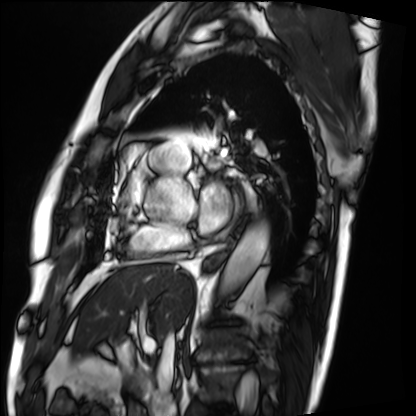
Cardiac MRI.
Subject group: patient.